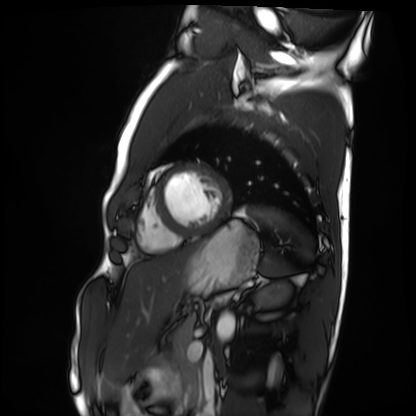
Clinical context:
Cardiac MRI. Subject group: healthy volunteer.